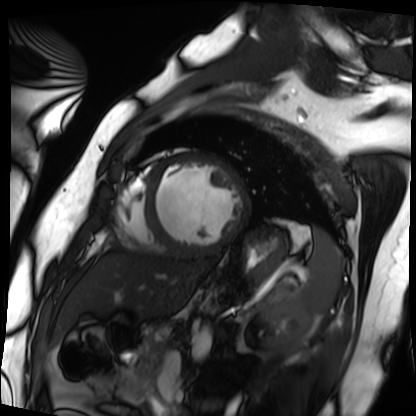
Cardiac MRI.
Subject group: patient.